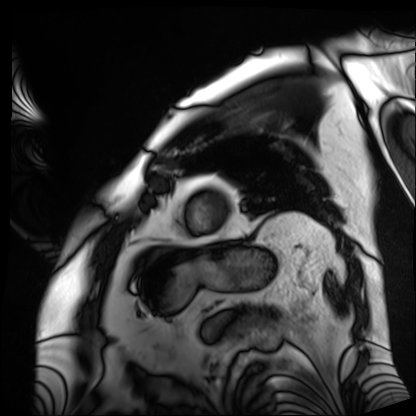
Cardiac MRI. Subject group: patient.